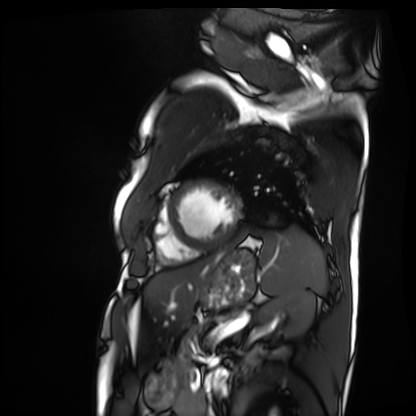
• modality — cardiac MRI
• subject group — patient